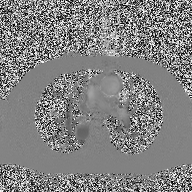
Clinical context:
2D phase-contrast cine MRI of the ascending aorta, high-resolution GRAPPA acquisition.